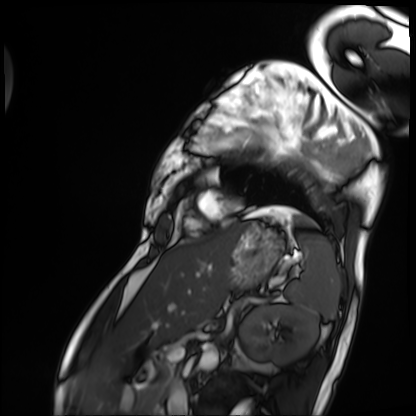
modality = cardiac MRI; subject group = patient.